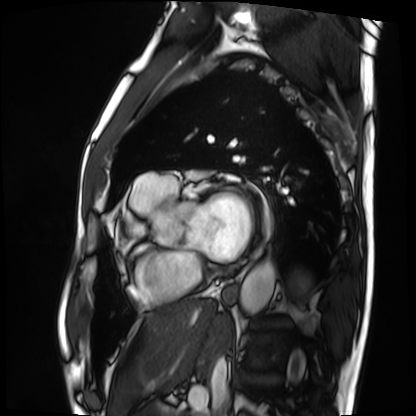
Cardiac MRI. Subject group: patient.